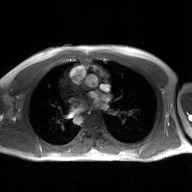
- modality — 2D phase-contrast cine MRI of the ascending aorta, GAN super-resolution reconstruction